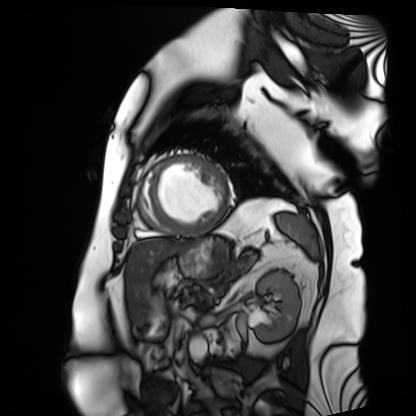
modality = cardiac MRI; subject group = patient.